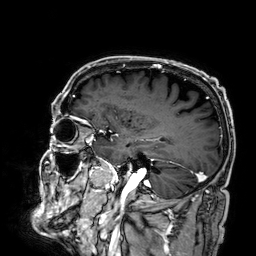
Summary: 3 Tesla brain MRI. Study: ring-enhancing brain masses.